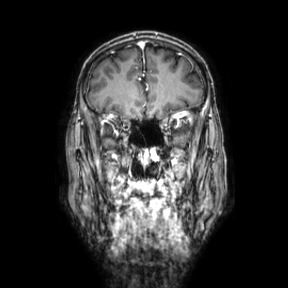
3 Tesla brain MRI. Series: coronal. Study: ring-enhancing brain masses.